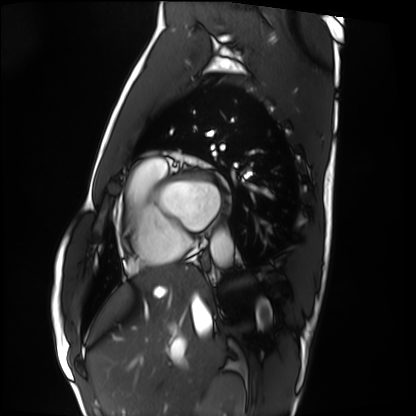
  modality: cardiac MRI
  cohort: healthy volunteer